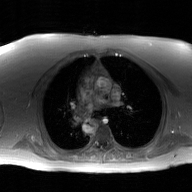
  modality:
    type: 2D phase-contrast cine MRI
    region: ascending aorta
    reconstruction: GAN super-resolution reconstruction